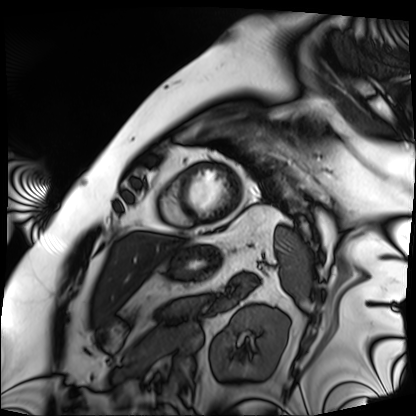
Cardiac MRI.
Subject group: patient.